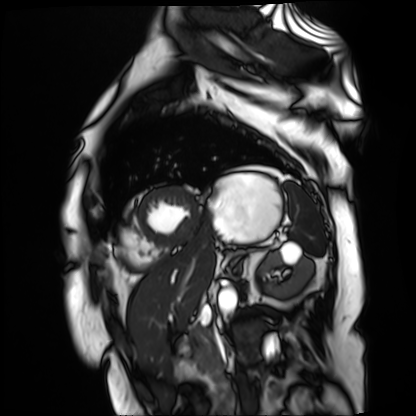
Cardiac MR image of the myocardium.
Subject cohort: cardiac patient.